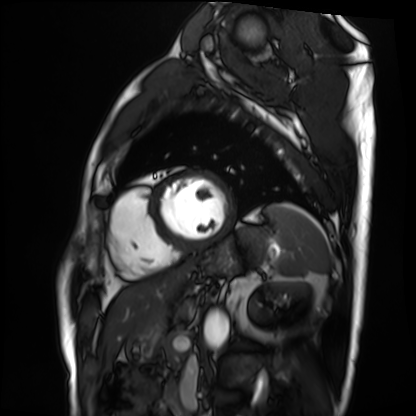
Summary:
Cardiac MRI. Subject group: patient.